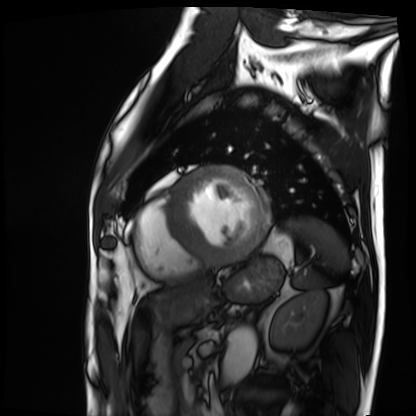
modality: cardiac MRI
cohort: patient